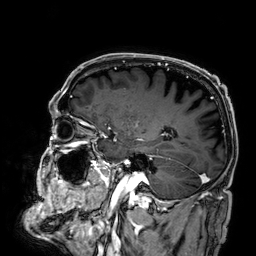
3 Tesla brain MRI. Series: 3D T1-weighted. Study: ring-enhancing brain masses.